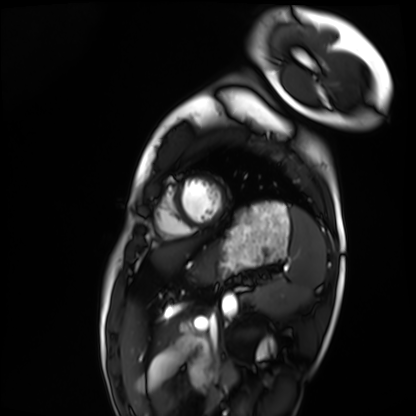
| field | value |
|---|---|
| modality | cardiac MRI |
| subject group | healthy volunteer |